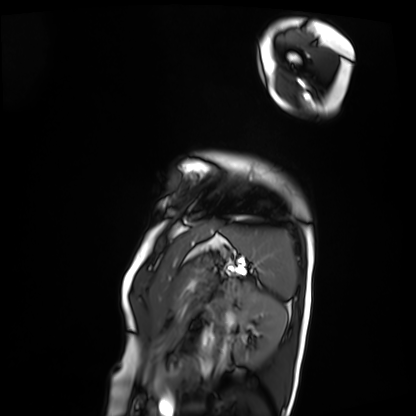
<study>
<modality>cardiac MRI</modality>
<cohort>patient</cohort>
</study>